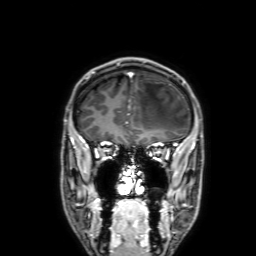
modality: 3 Tesla brain MRI | series: 3D T1-weighted with SENSE | study: ring-enhancing brain masses.